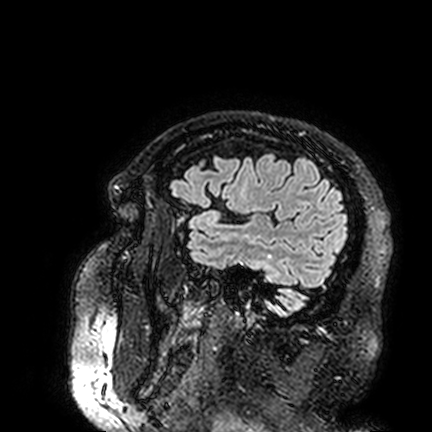
3 Tesla brain MRI. Series: FLAIR VISTA. Study: ring-enhancing brain masses.